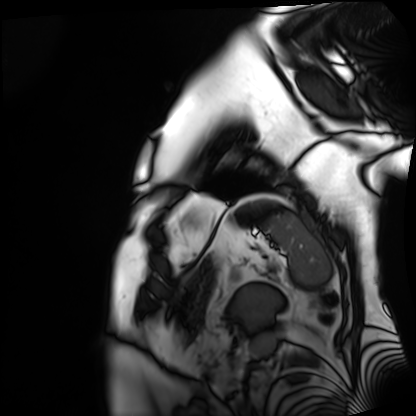
Cardiac MRI.
Subject group: patient.